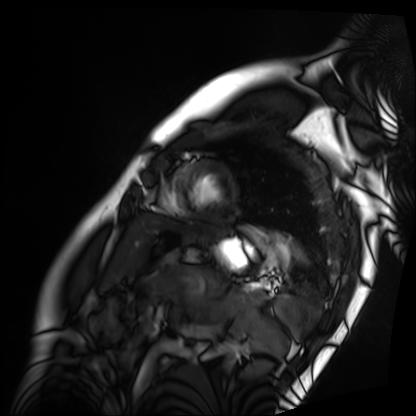
{
  "modality": "cardiac MRI",
  "cohort": "patient"
}